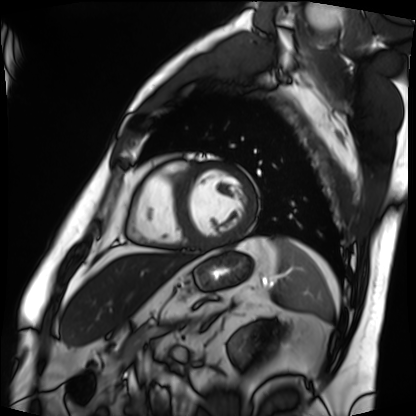
Cardiac MRI.
Subject group: patient.